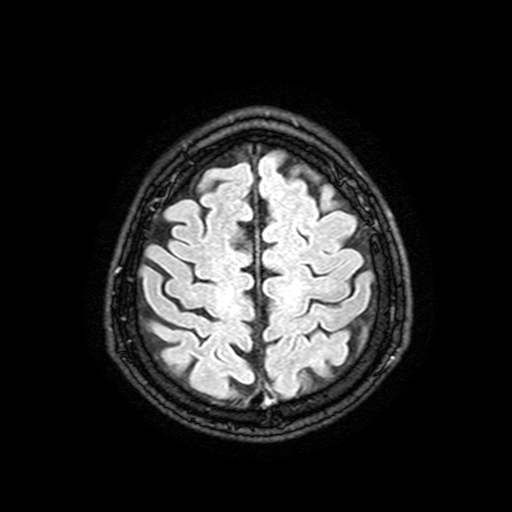
3 Tesla brain MRI. Series: FLAIR with SPAIR, 3 mm. Study: ring-enhancing brain masses.